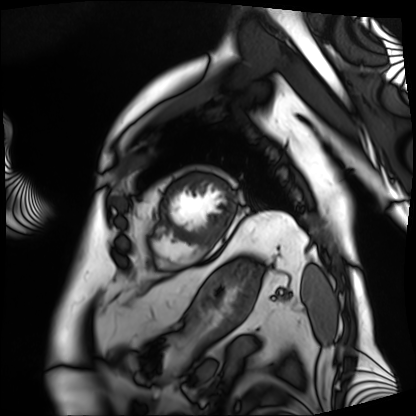
modality=cardiac MRI; subject group=patient.